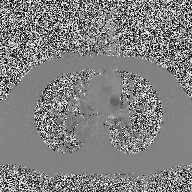
2D phase-contrast cine MRI of the ascending aorta, high-resolution GRAPPA acquisition.